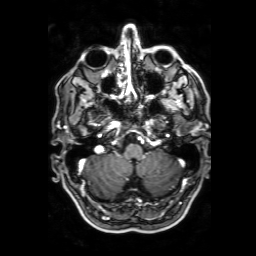
modality = 3 Tesla brain MRI
series = 3D T1-weighted with SENSE
study = ring-enhancing brain masses